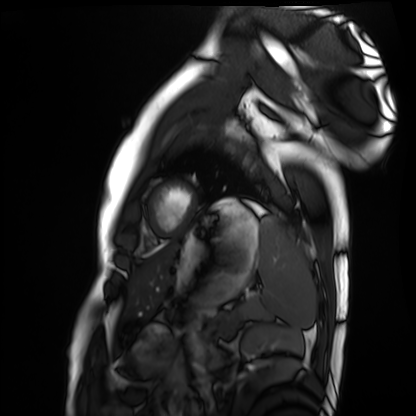
Q: What kind of scan is this?
A: Cardiac MRI.
Subject group: healthy volunteer.